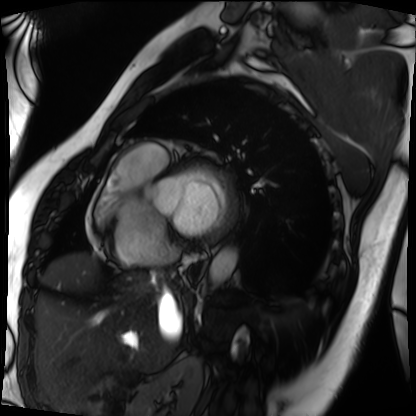
Clinical context:
Cardiac MRI. Subject group: patient.